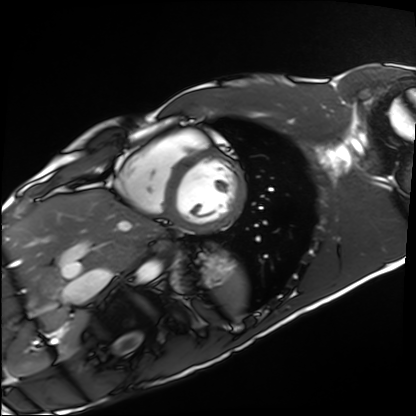
Cardiac MRI. Subject group: healthy volunteer.